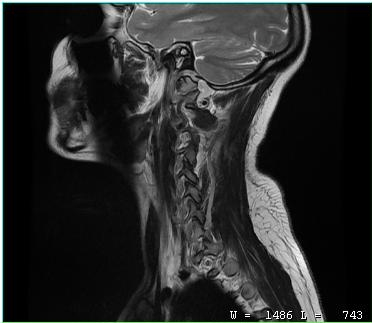
modality=MRI of the cervical spine; study=cervical spondylosis.